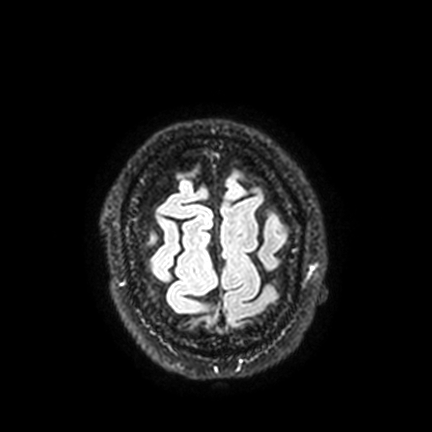
Clinical context:
3 Tesla brain MRI. Series: FLAIR VISTA with SENSE. Study: ring-enhancing brain masses.